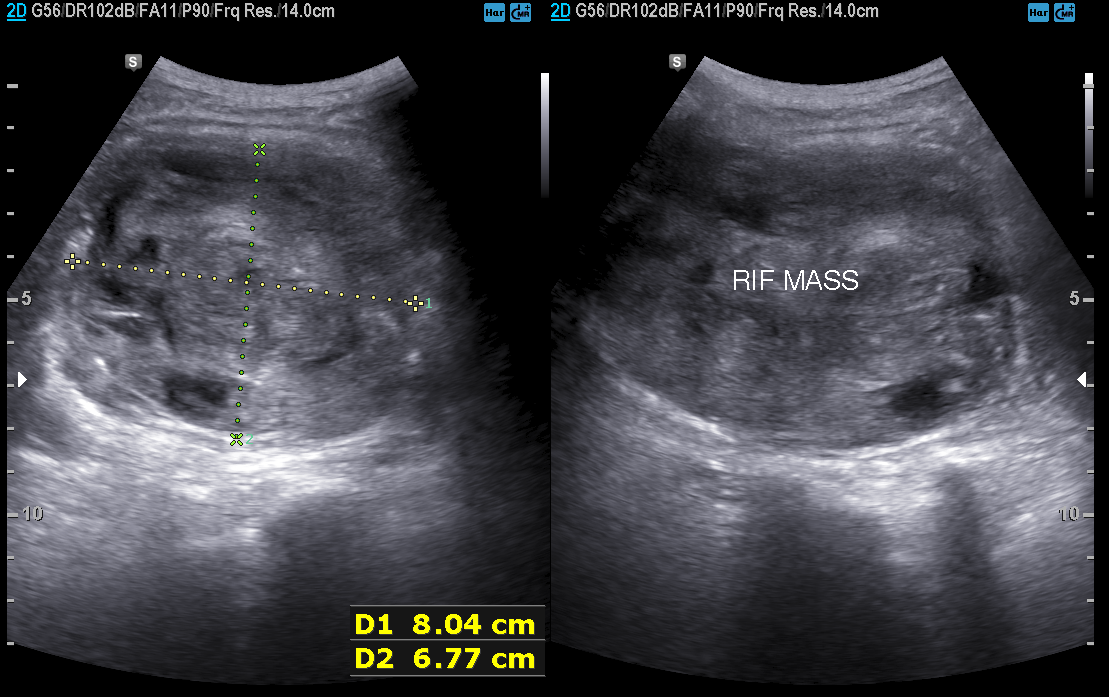
modality: genitourinary ultrasound.